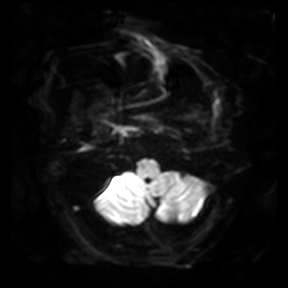
modality = 3 Tesla brain MRI
series = diffusion-weighted imaging
study = ring-enhancing brain masses